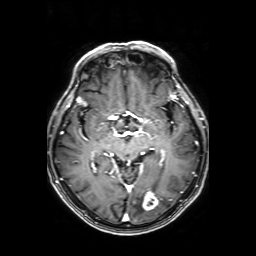
Q: What kind of scan is this?
A: 3 Tesla brain MRI.
Q: Series?
A: Axial T1-weighted fusion image.
Study: ring-enhancing brain masses.